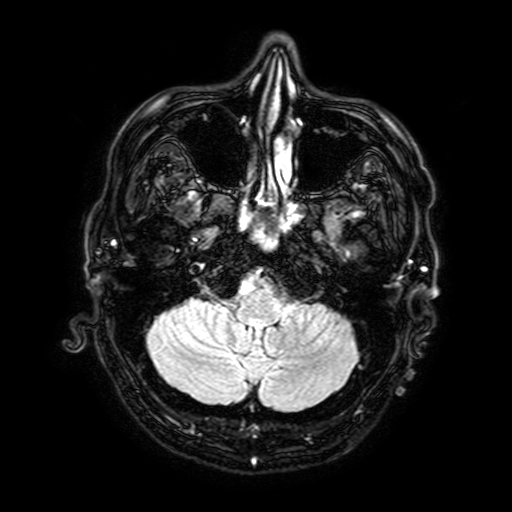
Clinical context: 3 Tesla brain MRI. Series: FLAIR with SPAIR, 3 mm. Study: ring-enhancing brain masses.